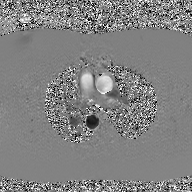
Clinical context:
2D phase-contrast cine MRI of the ascending aorta, GAN super-resolution reconstruction.